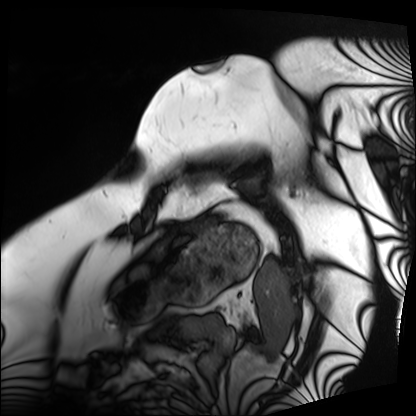
Case:
– modality: cardiac MRI
– subject group: patient